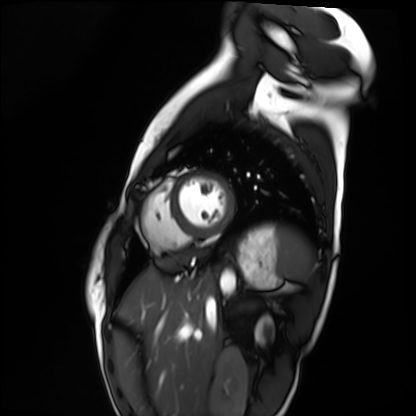
<study>
<modality>cardiac MRI</modality>
<cohort>healthy volunteer</cohort>
</study>